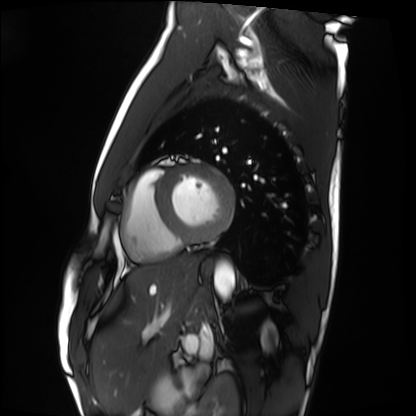
Clinical context: Cardiac MRI. Subject group: healthy volunteer.